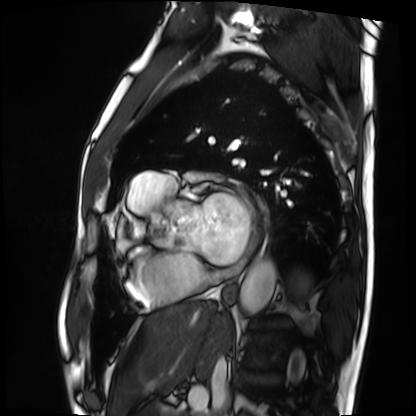
• modality · cardiac MRI
• subject group · patient